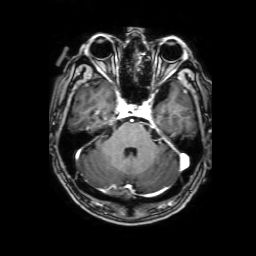
– modality · 3 Tesla brain MRI
– series · 3D T1-weighted with SENSE
– study · ring-enhancing brain masses